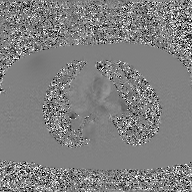
Case summary: 2D phase-contrast cine MRI of the ascending aorta, GAN super-resolution reconstruction.